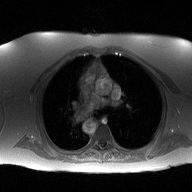
2D phase-contrast cine MRI of the ascending aorta, high-resolution GRAPPA acquisition.